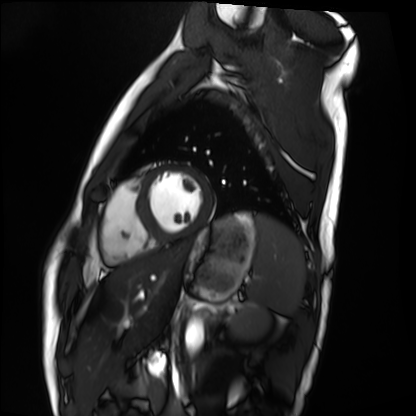
Cardiac MRI.
Subject group: healthy volunteer.